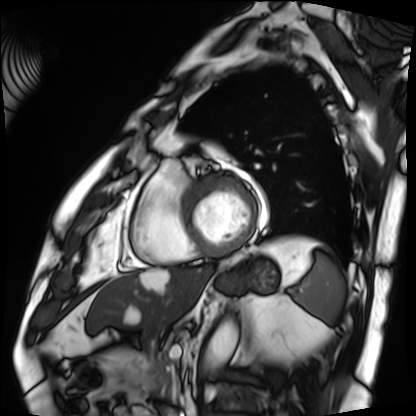
modality = cardiac MRI | subject group = patient.